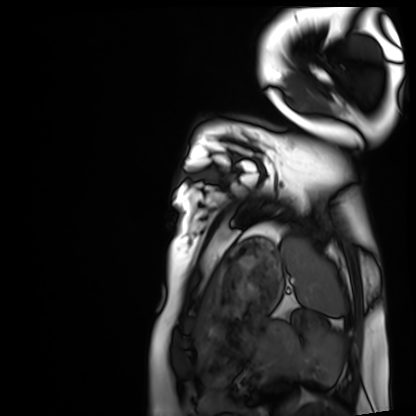
Cardiac MRI.
Subject group: healthy volunteer.